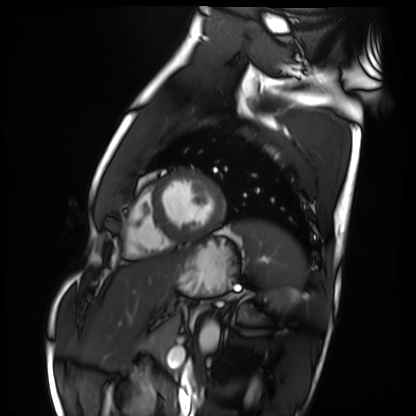
modality — cardiac MRI
subject group — healthy volunteer